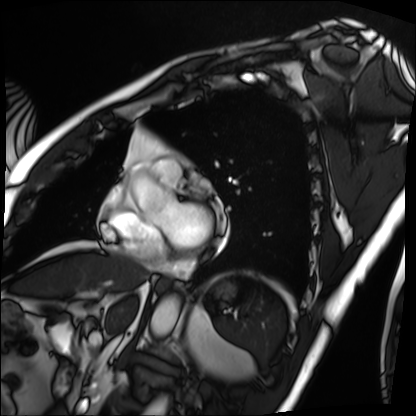
modality: cardiac MRI
cohort: patient